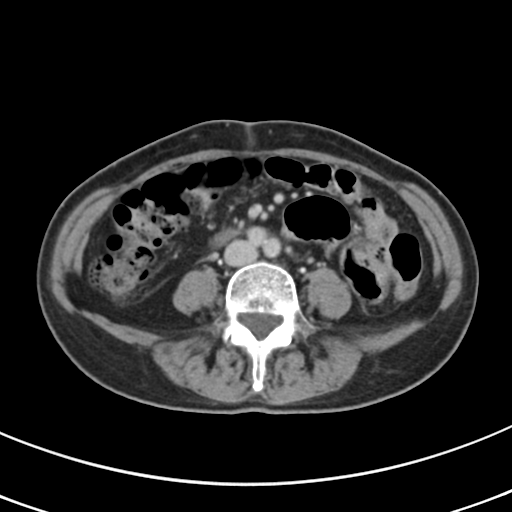
Multiphase abdominal CT, liver, delayed phase.
Patient: female, age 68.
History: prior chemotherapy.